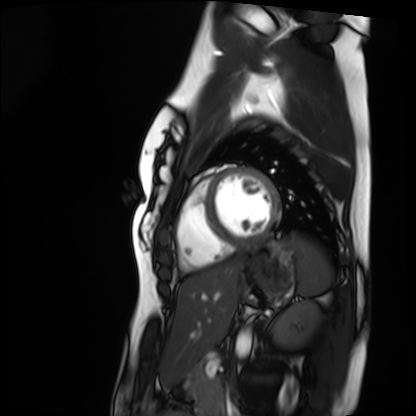
  modality: cardiac MRI
  cohort: healthy volunteer